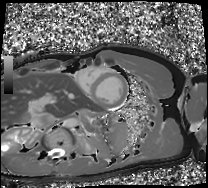
modality: cardiac MRI
cohort: healthy volunteer